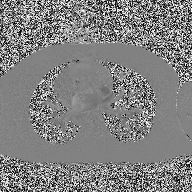
Case summary: 2D phase-contrast cine MRI of the ascending aorta, high-resolution GRAPPA acquisition.